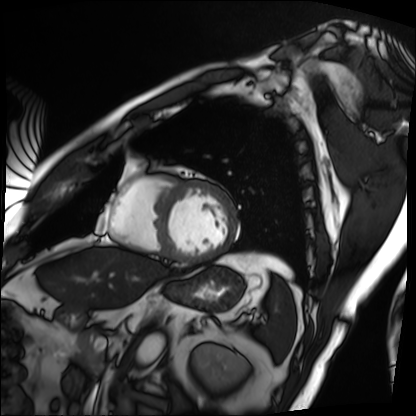
modality: cardiac MRI
subject group: patient